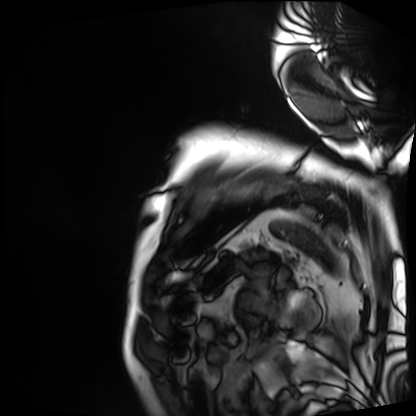
Clinical context: Cardiac MRI. Subject group: patient.